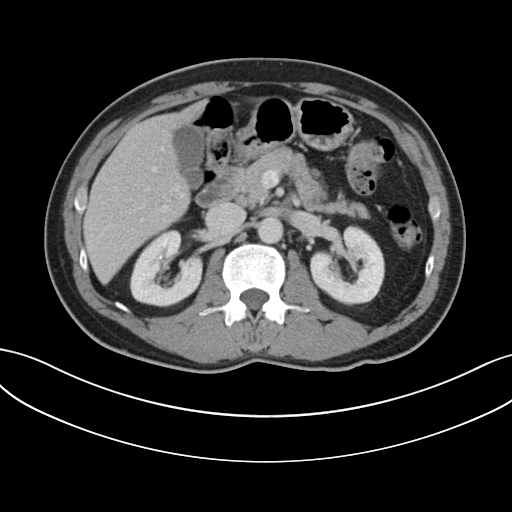
Multiphase abdominal CT, liver, portal venous phase. Patient: male, age 60. History: cirrhosis.